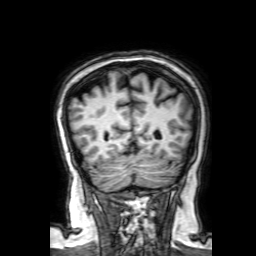
3 Tesla brain MRI. Series: 3D T1-weighted with SENSE. Study: ring-enhancing brain masses.